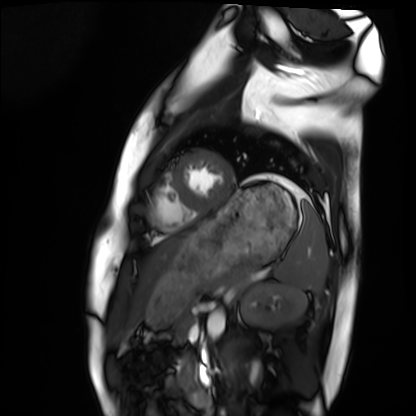
Q: What kind of scan is this?
A: Cardiac MRI.
Subject group: healthy volunteer.